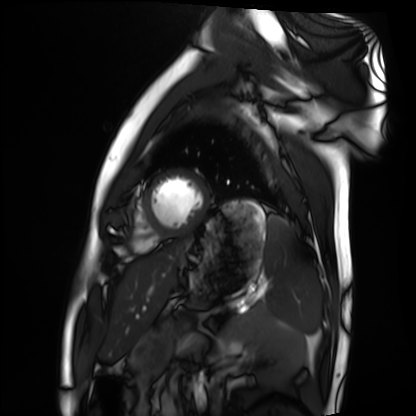
Clinical context: Cardiac MRI. Subject group: healthy volunteer.